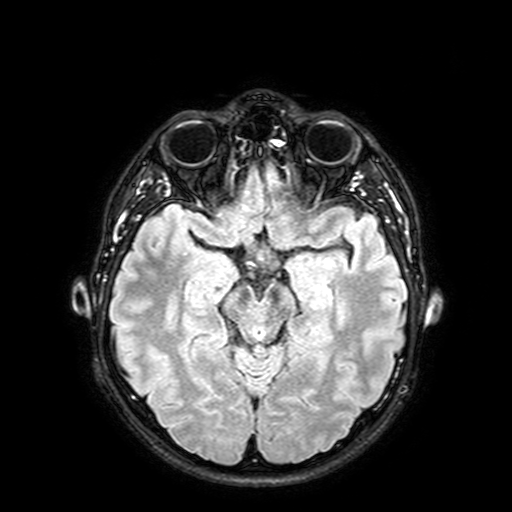
Summary:
3 Tesla brain MRI. Series: FLAIR with SPAIR, 3 mm. Study: ring-enhancing brain masses.